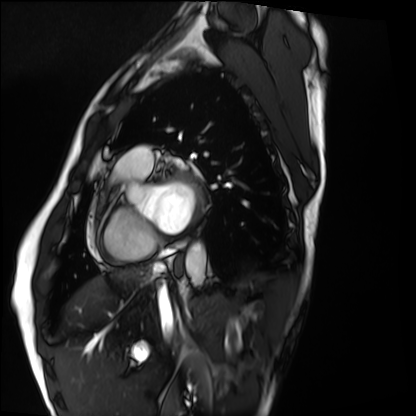
{"modality": "cardiac MRI", "cohort": "healthy volunteer"}